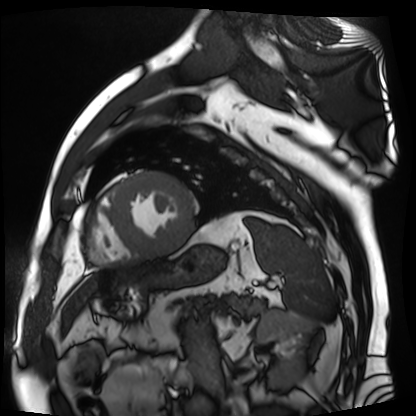
modality: cardiac MR image of the myocardium
subject cohort: cardiac patient